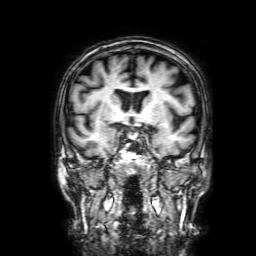
Q: What kind of scan is this?
A: 3 Tesla brain MRI.
Q: Series?
A: 3D T1-weighted with SENSE.
Study: ring-enhancing brain masses.